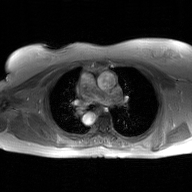
Case summary:
2D phase-contrast cine MRI of the ascending aorta, GAN super-resolution reconstruction.